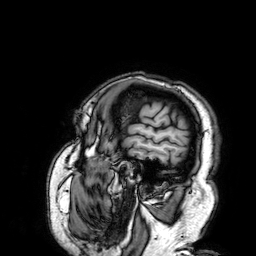
Q: What kind of scan is this?
A: 3 Tesla brain MRI.
Q: Series?
A: 3D T1-weighted.
Study: ring-enhancing brain masses.